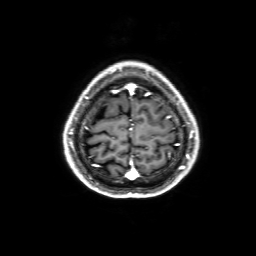
modality — 3 Tesla brain MRI; study — ring-enhancing brain masses.